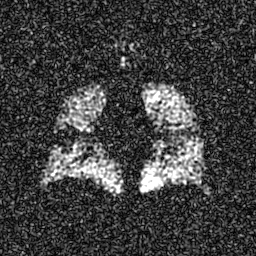
{
  "modality": "hyperpolarized 129Xe ventilation MRI of the lungs",
  "snr_level": "6 of 8 (the deposit holds this scan as its native image and as seven SNR-degraded versions)"
}